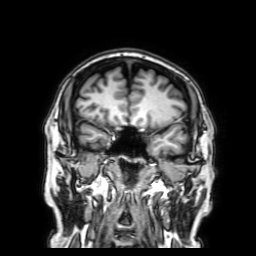
modality = 3 Tesla brain MRI
series = 3D T1-weighted with SENSE
study = ring-enhancing brain masses